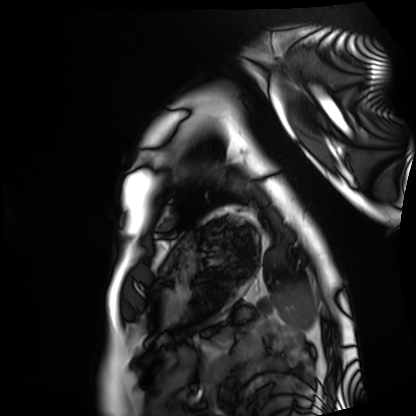
modality: cardiac MRI | subject group: healthy volunteer.